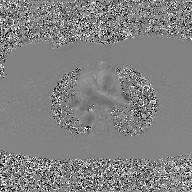
{
  "modality": {
    "type": "2D phase-contrast cine MRI",
    "region": "ascending aorta",
    "reconstruction": "GAN super-resolution reconstruction"
  }
}